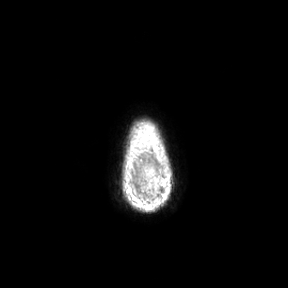
3 Tesla brain MRI.
Series: axial.
Study: ring-enhancing brain masses.